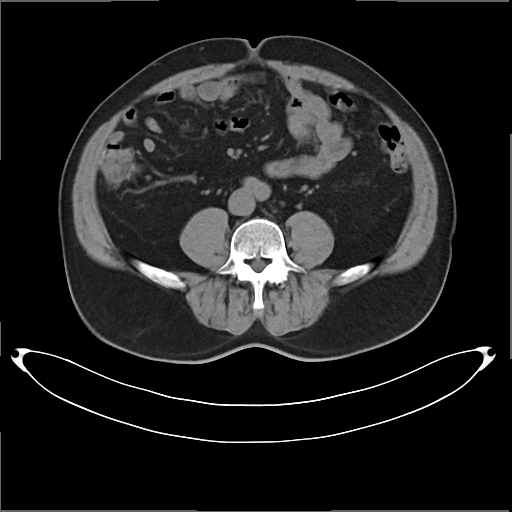
Multiphase abdominal CT, liver, non-contrast phase. Patient: male, age 53. History: cirrhosis, viral hepatitis.